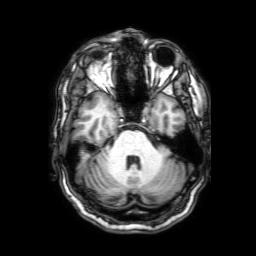
3 Tesla brain MRI.
Series: 3D T1-weighted with SENSE.
Study: ring-enhancing brain masses.